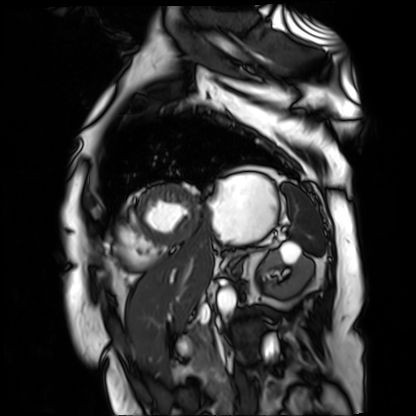
<record>
<modality>cardiac MR image of the myocardium</modality>
<cohort>cardiac patient</cohort>
</record>